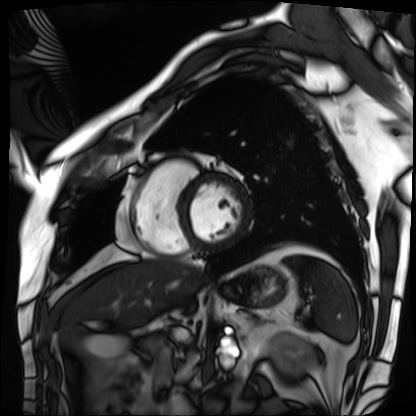
– modality: cardiac MRI
– subject group: patient